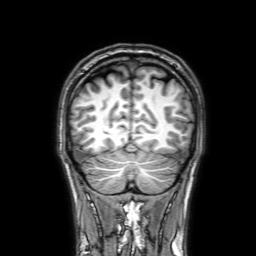
{
  "modality": {
    "type": "brain MRI",
    "field_strength": "3T"
  },
  "series": "3D T1-weighted with SENSE",
  "study_topic": "ring-enhancing brain masses"
}